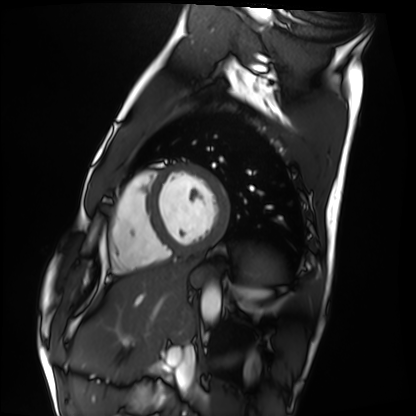
modality: cardiac MRI
cohort: healthy volunteer